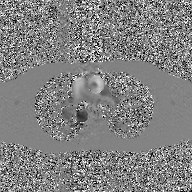
Q: What kind of scan is this?
A: 2D phase-contrast cine MRI of the ascending aorta, GAN super-resolution reconstruction.